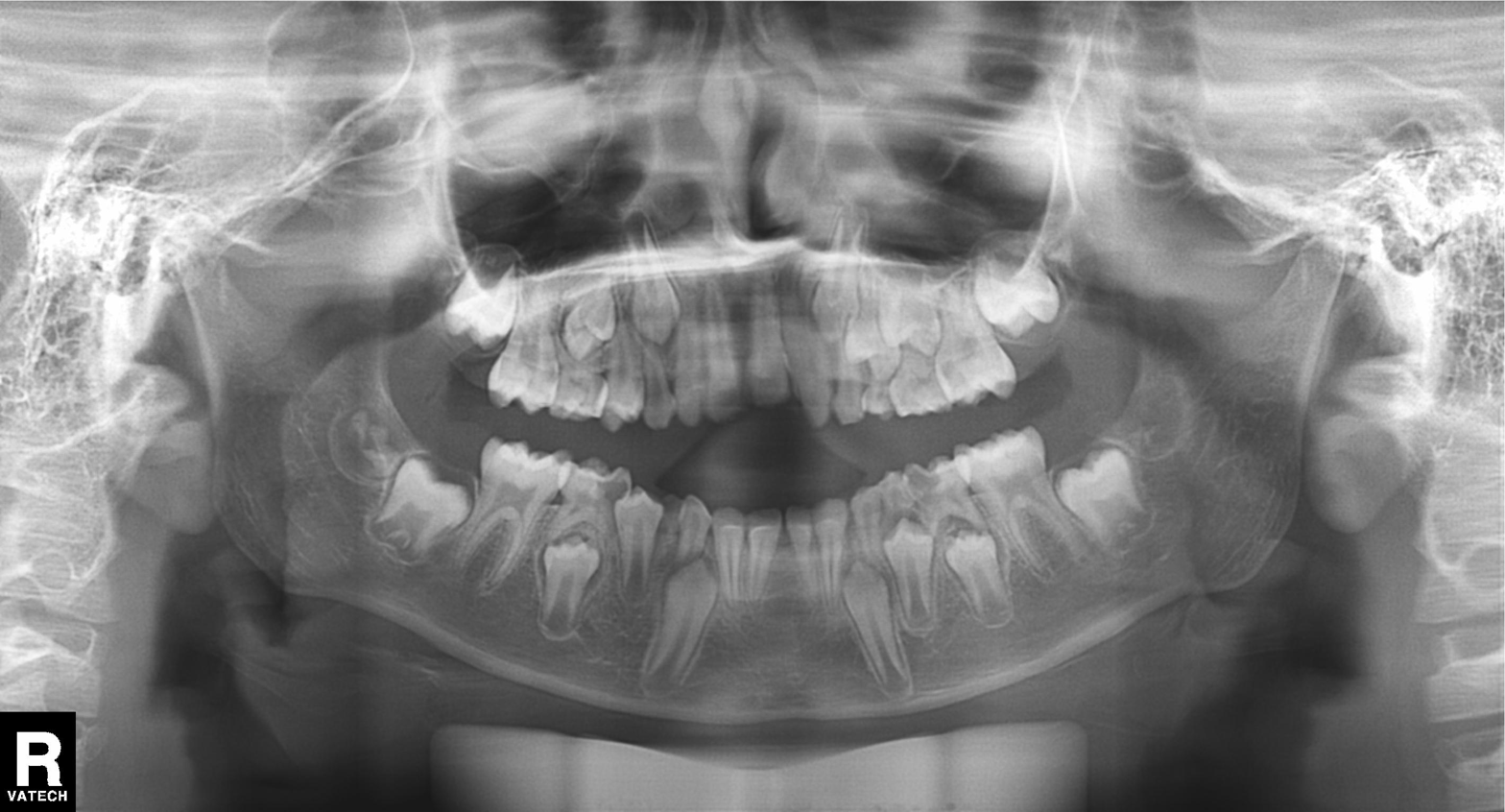
| feature | finding |
|---|---|
| modality | panoramic dental radiograph (orthopantomogram) |
| finding | dental caries (cavities) |